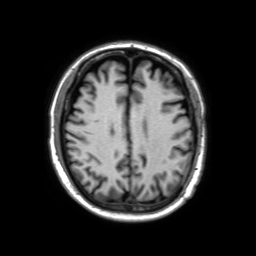
• modality — 3 Tesla brain MRI
• series — 3D T1-weighted TFE with SENSE
• study — ring-enhancing brain masses